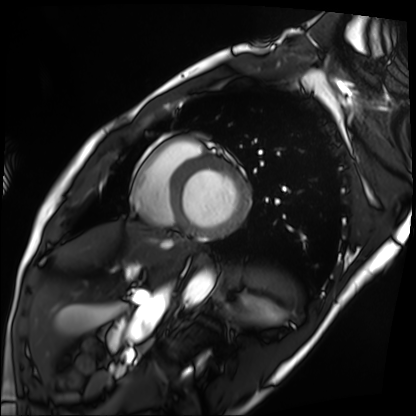
{"modality": "cardiac MRI", "cohort": "patient"}